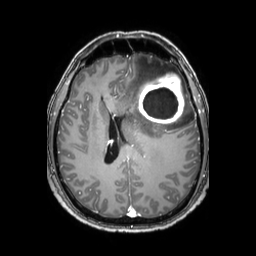
Case summary: 3 Tesla brain MRI. Series: 3D T1-weighted TFE with SENSE. Study: ring-enhancing brain masses.